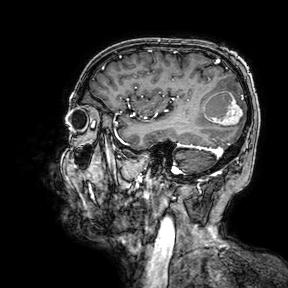
3 Tesla brain MRI. Series: 3D T1-weighted turbo field echo with SENSE. Study: ring-enhancing brain masses.